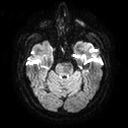
Clinical context: 3 Tesla brain MRI. Series: diffusion tensor imaging (medium iso). Study: ring-enhancing brain masses.